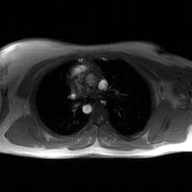
2D phase-contrast cine MRI of the ascending aorta, GAN super-resolution reconstruction.